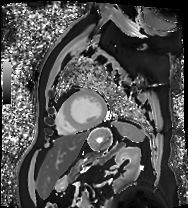
Case:
• modality · cardiac MRI
• subject group · patient